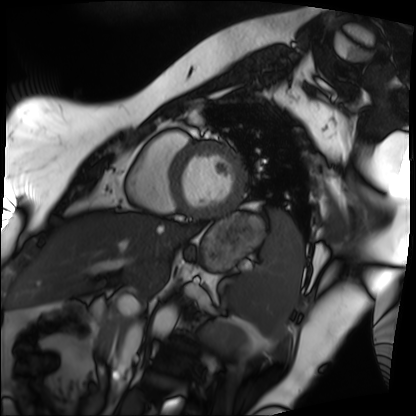
Case summary: Cardiac MRI. Subject group: patient.